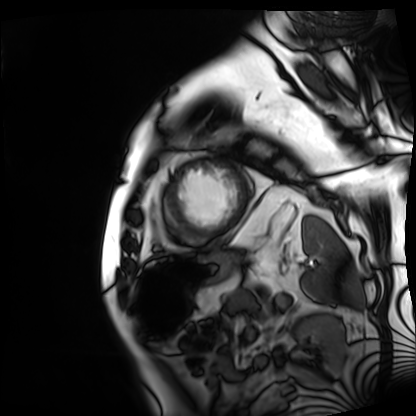
  modality: cardiac MRI
  cohort: patient